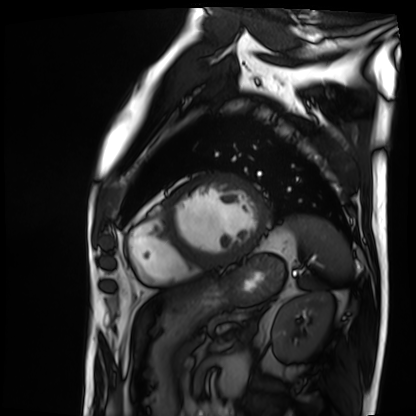
Q: What kind of scan is this?
A: Cardiac MRI.
Subject group: patient.